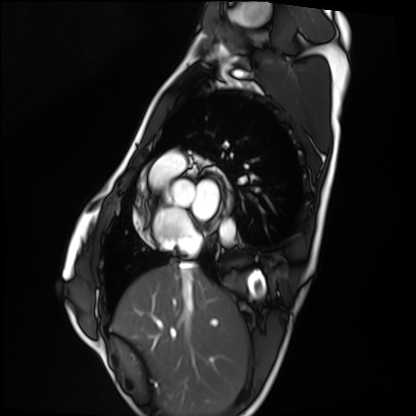
Cardiac MRI.
Subject group: healthy volunteer.